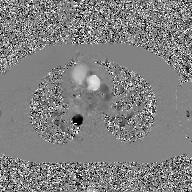
2D phase-contrast cine MRI of the ascending aorta, GAN super-resolution reconstruction.